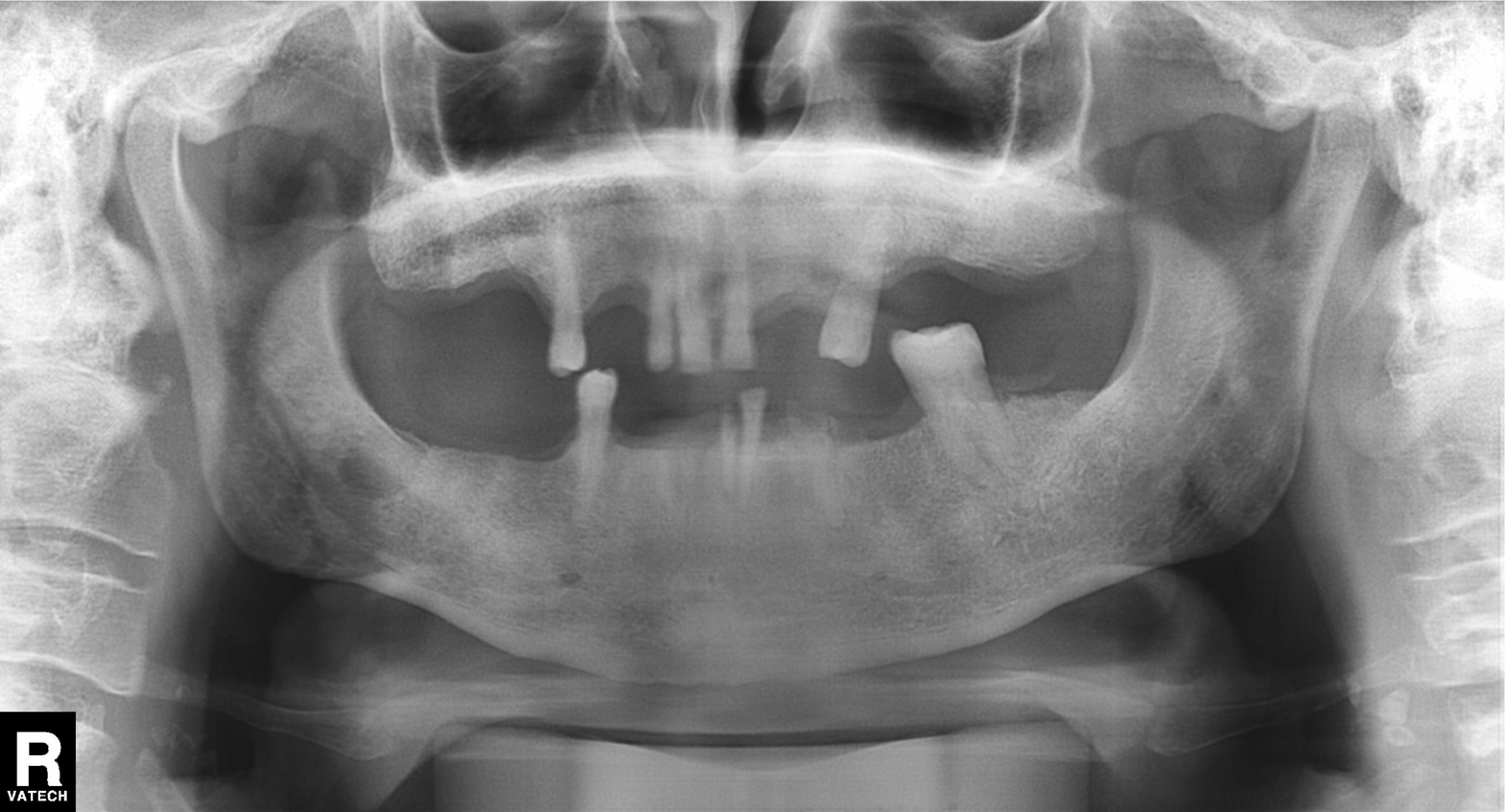
Case summary:
Panoramic dental radiograph (orthopantomogram).
Conclusion:
Tooth impaction.